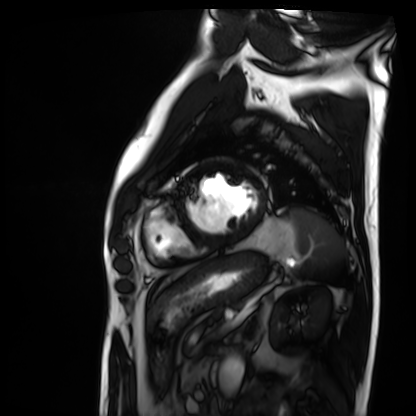
Cardiac MRI.
Subject group: patient.